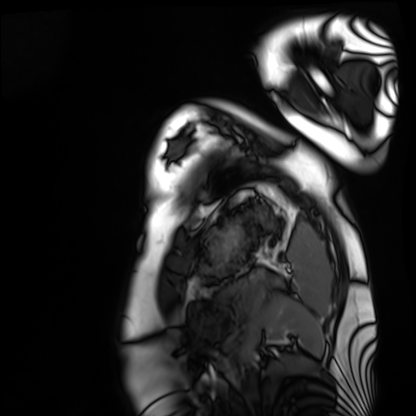
{
  "modality": "cardiac MRI",
  "cohort": "healthy volunteer"
}